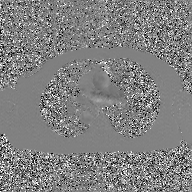
modality — 2D phase-contrast cine MRI of the ascending aorta, GAN super-resolution reconstruction.